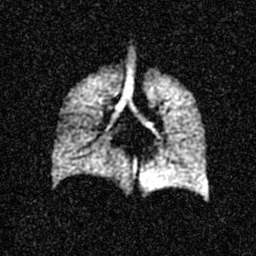
  modality: hyperpolarized 129Xe ventilation MRI of the lungs
  snr_level: 4 of 8 (the deposit holds this scan as its native image and as seven SNR-degraded versions)